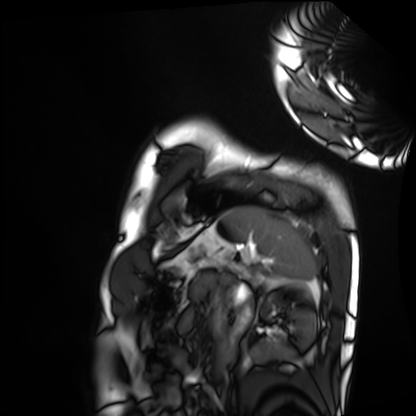
* modality — cardiac MRI
* subject group — healthy volunteer